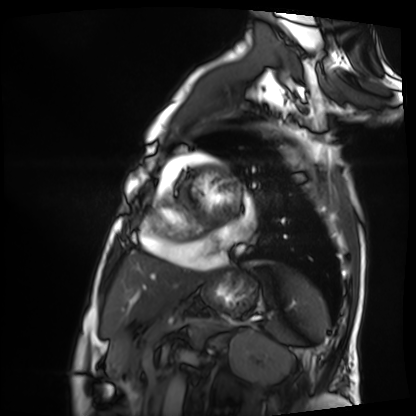
- modality · cardiac MRI
- subject group · patient